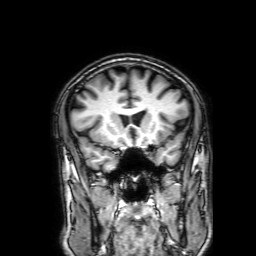
modality=3 Tesla brain MRI | series=3D T1-weighted with SENSE | study=ring-enhancing brain masses.